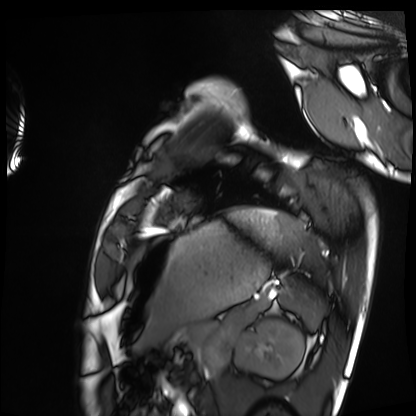
{
  "modality": "cardiac MRI",
  "cohort": "healthy volunteer"
}